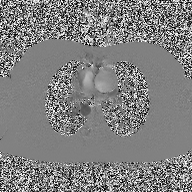
modality: 2D phase-contrast cine MRI of the ascending aorta.